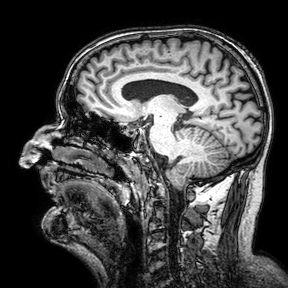
{"modality": {"type": "brain MRI", "field_strength": "3T"}, "series": "3D T1-weighted turbo field echo with SENSE", "study_topic": "ring-enhancing brain masses"}